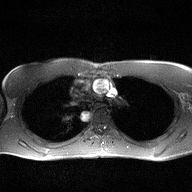
Case:
– modality: 2D phase-contrast cine MRI of the ascending aorta